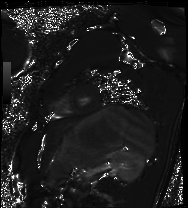
modality: cardiac MRI; subject group: healthy volunteer.